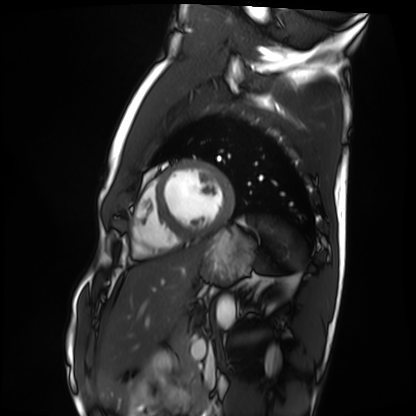
  modality: cardiac MRI
  cohort: healthy volunteer